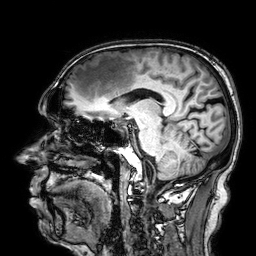
modality: 3 Tesla brain MRI | series: 3D T1-weighted | study: ring-enhancing brain masses.